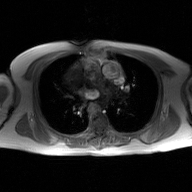
Case:
- modality — 2D phase-contrast cine MRI of the ascending aorta, GAN super-resolution reconstruction